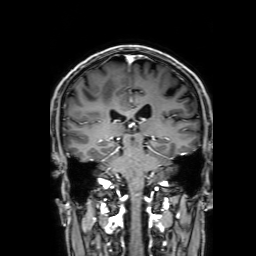
modality: 3 Tesla brain MRI; series: 3D T1-weighted with SENSE; study: ring-enhancing brain masses.